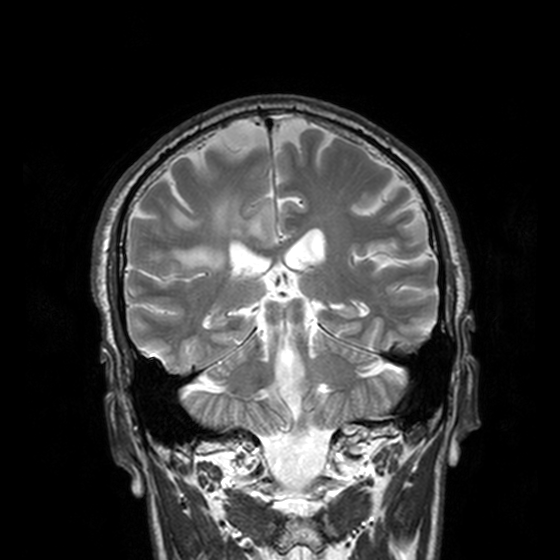
3 Tesla brain MRI.
Series: T2-weighted turbo spin echo, 3 mm.
Study: ring-enhancing brain masses.